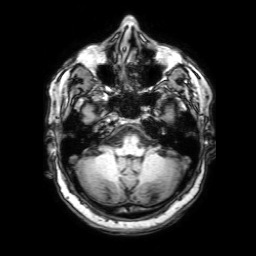
modality: 3 Tesla brain MRI | series: 3D T1-weighted with SENSE | study: ring-enhancing brain masses.